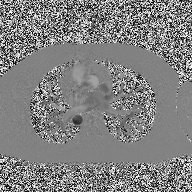
modality: 2D phase-contrast cine MRI of the ascending aorta.